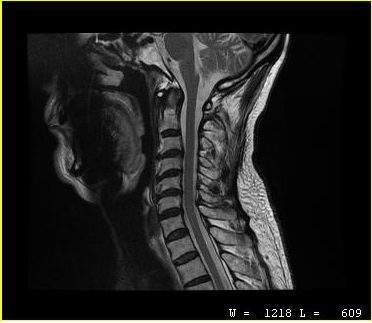
Clinical context: MRI of the cervical spine. Study: cervical spondylosis.